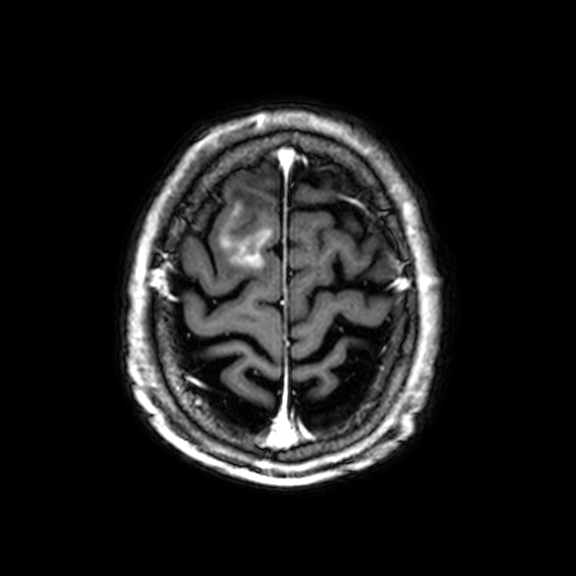
{
  "modality": {
    "type": "brain MRI",
    "field_strength": "3T"
  },
  "series": "3D T1-weighted with CLEAR",
  "study_topic": "ring-enhancing brain masses"
}